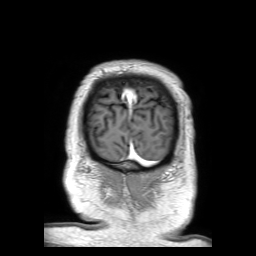
  modality:
    type: brain MRI
    field_strength: 3T
  series: 3D T1-weighted TFE with SENSE
  study_topic: ring-enhancing brain masses